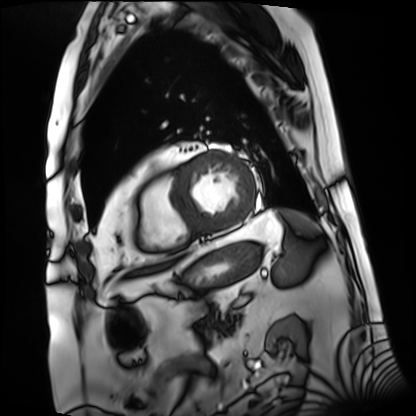
modality = cardiac MRI; subject group = patient.